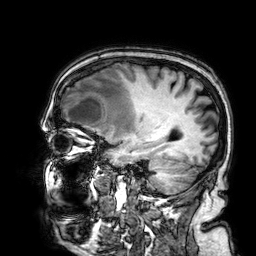
3 Tesla brain MRI.
Series: 3D T1-weighted.
Study: ring-enhancing brain masses.